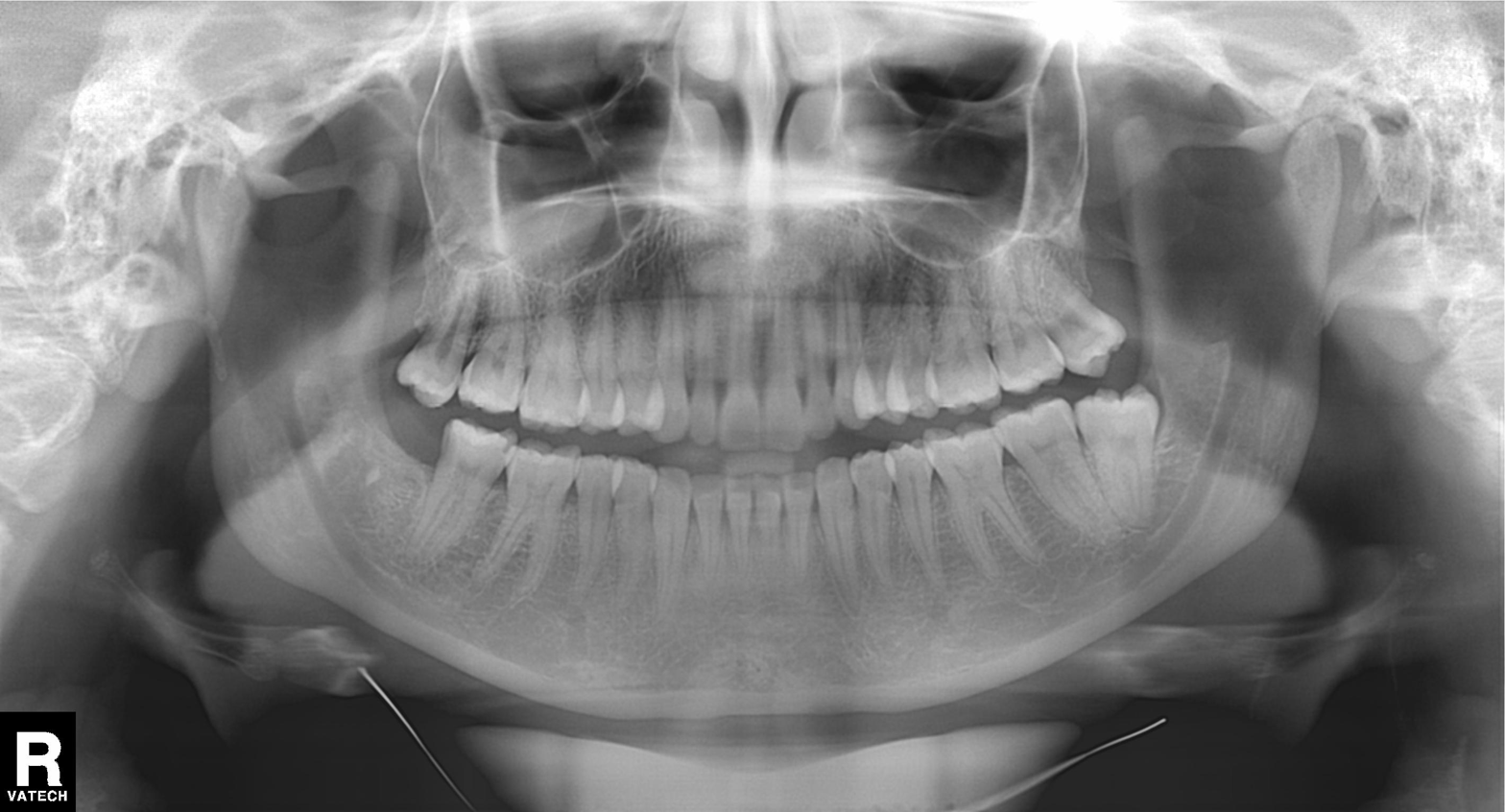
modality = panoramic dental radiograph (orthopantomogram); finding = dental caries (cavities).